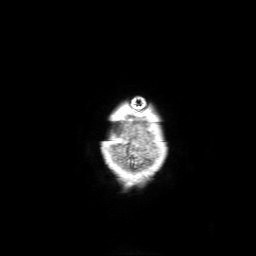
Summary:
3 Tesla brain MRI. Series: 3D T1-weighted with SENSE. Study: ring-enhancing brain masses.